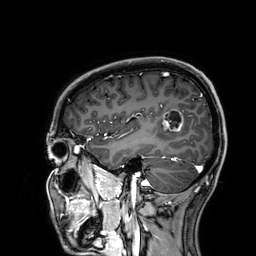
3 Tesla brain MRI.
Series: 3D T1-weighted.
Study: ring-enhancing brain masses.